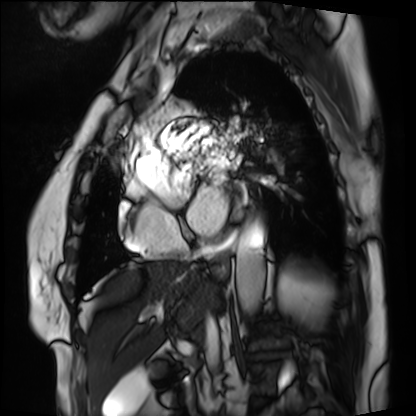
Q: What kind of scan is this?
A: Cardiac MRI.
Subject group: patient.